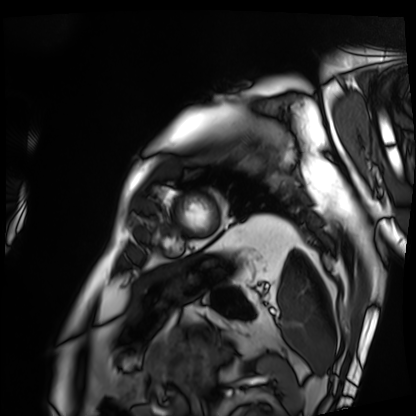
| field | value |
|---|---|
| modality | cardiac MRI |
| subject group | patient |